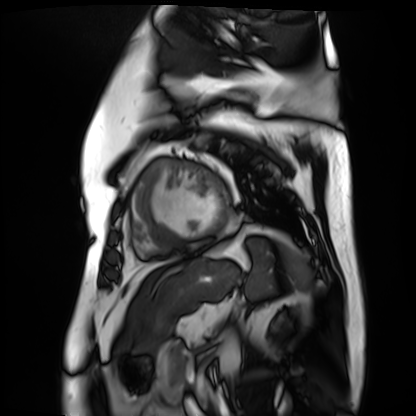
Cardiac MR image of the myocardium.
Subject cohort: cardiac patient.